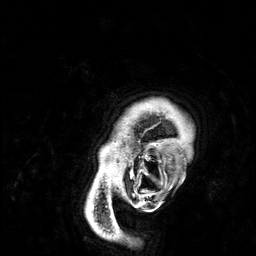
| field | value |
|---|---|
| modality | 3 Tesla brain MRI |
| series | 3D T1-weighted |
| study | ring-enhancing brain masses |